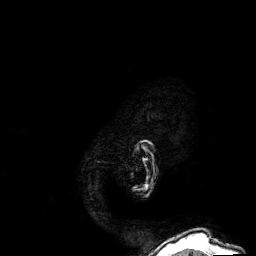
3 Tesla brain MRI. Series: 3D T1-weighted. Study: ring-enhancing brain masses.